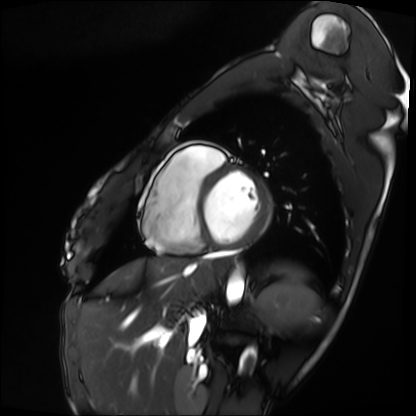
| field | value |
|---|---|
| modality | cardiac MRI |
| subject group | patient |